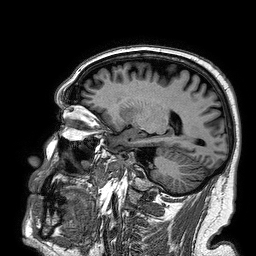
modality: 3 Tesla brain MRI | series: 3D T1-weighted turbo field echo | study: ring-enhancing brain masses.